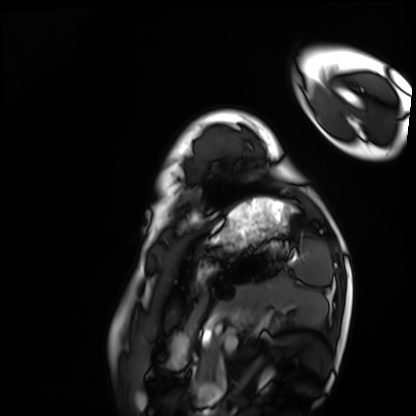
Q: What kind of scan is this?
A: Cardiac MRI.
Subject group: healthy volunteer.